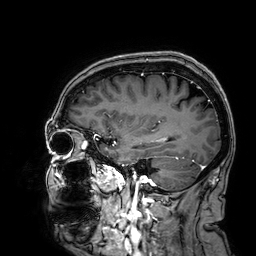
modality=3 Tesla brain MRI | series=3D T1-weighted | study=ring-enhancing brain masses.